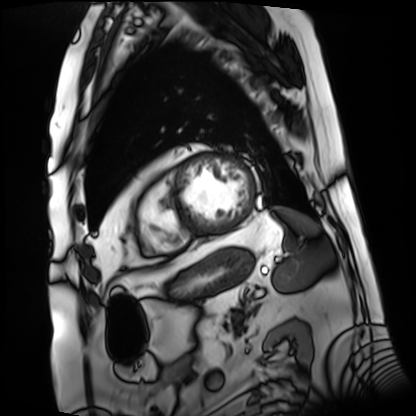
{"modality": "cardiac MRI", "cohort": "patient"}